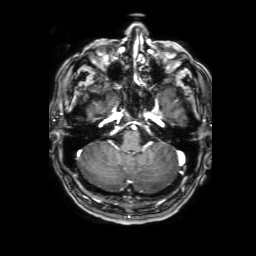
  modality:
    type: brain MRI
    field_strength: 3T
  series: 3D T1-weighted with SENSE
  study_topic: ring-enhancing brain masses